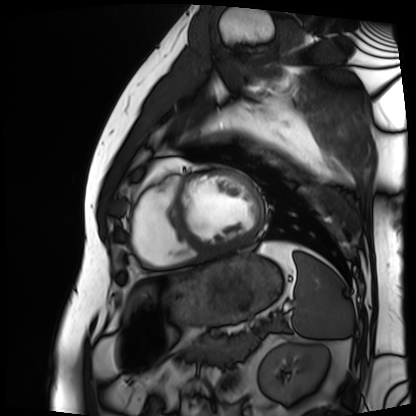
Case summary:
Cardiac MRI. Subject group: patient.